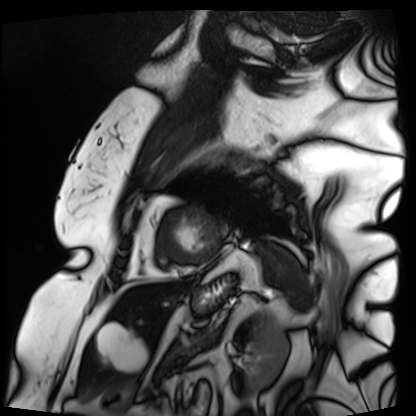
Cardiac MRI. Subject group: patient.